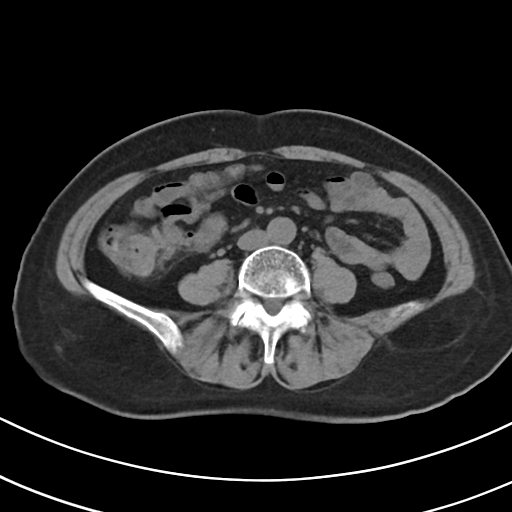
Multiphase abdominal CT, liver, non-contrast phase. Patient: female, age 69. History: viral hepatitis.